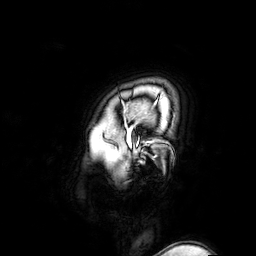
3 Tesla brain MRI. Series: 3D T1-weighted turbo field echo with SENSE. Study: ring-enhancing brain masses.